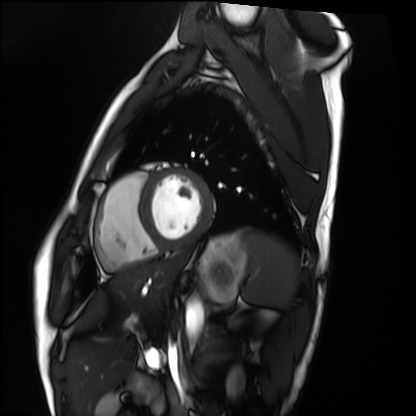
modality — cardiac MRI
subject group — healthy volunteer